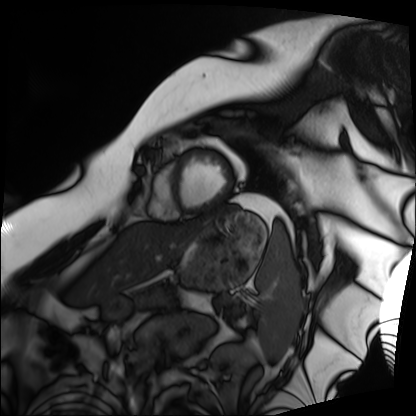
Cardiac MRI. Subject group: patient.